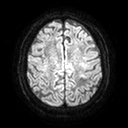
3 Tesla brain MRI. Series: diffusion tensor imaging (medium iso). Study: ring-enhancing brain masses.